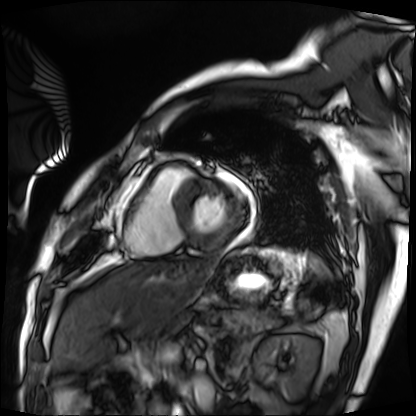
Clinical context: Cardiac MRI. Subject group: patient.